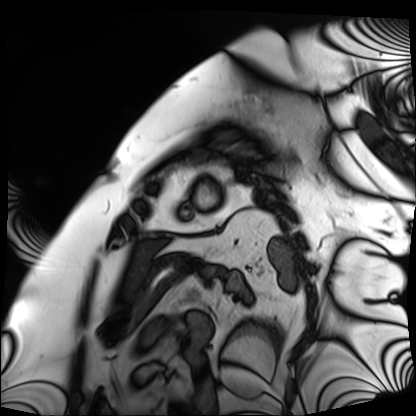
- modality · cardiac MRI
- subject group · patient